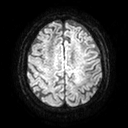
Q: What kind of scan is this?
A: 3 Tesla brain MRI.
Q: Series?
A: Diffusion tensor imaging (medium iso).
Study: ring-enhancing brain masses.